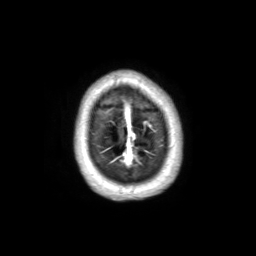
{"modality": {"type": "brain MRI", "field_strength": "3T"}, "series": "3D T1-weighted TFE with SENSE", "study_topic": "ring-enhancing brain masses"}